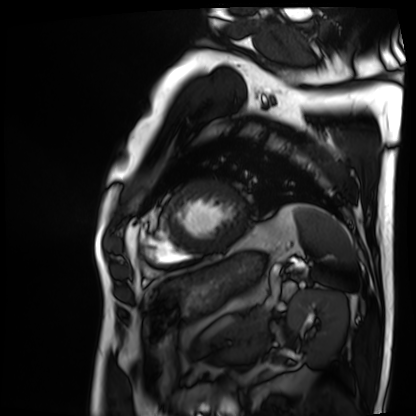
<case>
<modality>cardiac MRI</modality>
<cohort>patient</cohort>
</case>